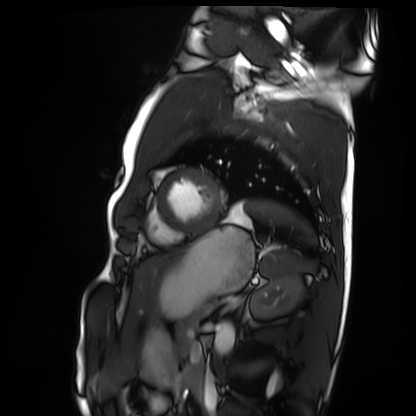
* modality — cardiac MRI
* subject group — healthy volunteer